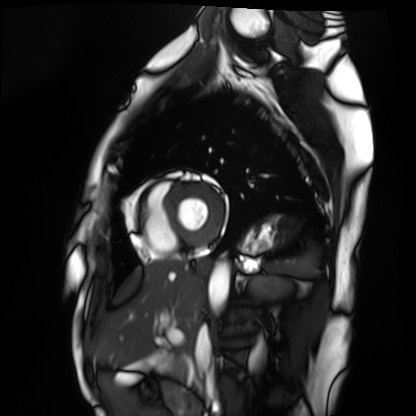
Summary: Cardiac MRI. Subject group: healthy volunteer.